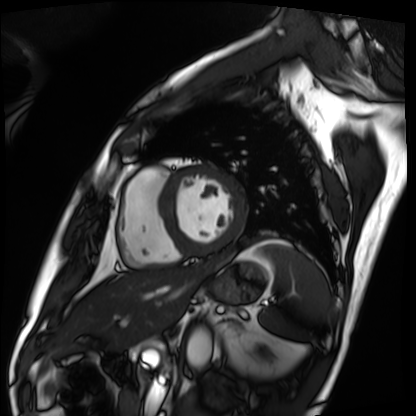
modality: cardiac MRI
subject group: patient